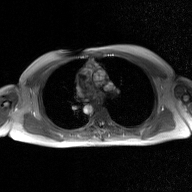
modality = 2D phase-contrast cine MRI of the ascending aorta, GAN super-resolution reconstruction.